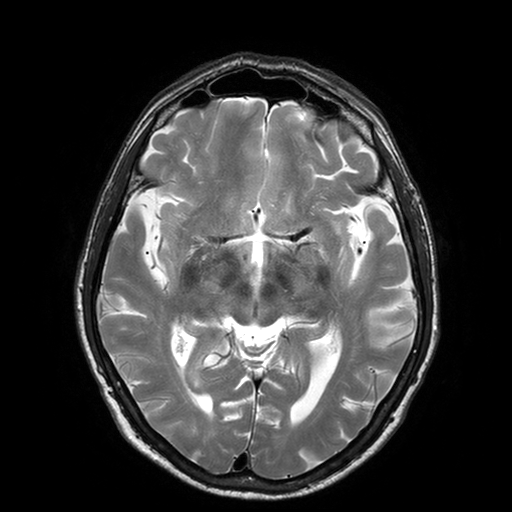
Case summary: 3 Tesla brain MRI. Series: T2-weighted turbo spin echo with SENSE. Study: ring-enhancing brain masses.